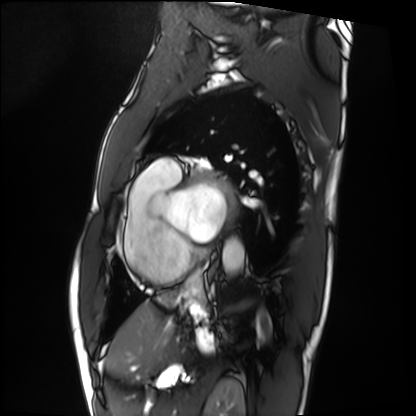
Q: What kind of scan is this?
A: Cardiac MRI.
Subject group: patient.